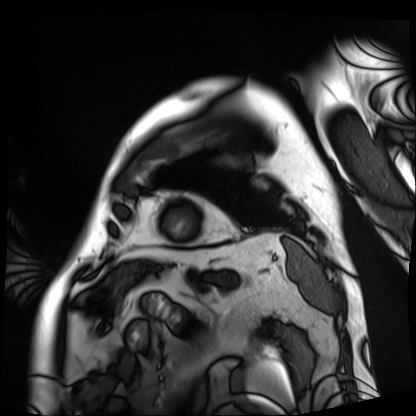
Cardiac MRI. Subject group: patient.